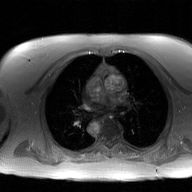
Summary:
2D phase-contrast cine MRI of the ascending aorta, GAN super-resolution reconstruction.